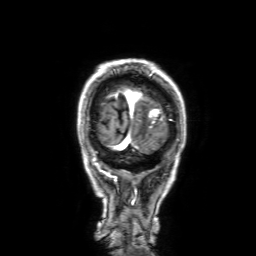
| field | value |
|---|---|
| modality | 3 Tesla brain MRI |
| series | 3D T1-weighted with SENSE |
| study | ring-enhancing brain masses |